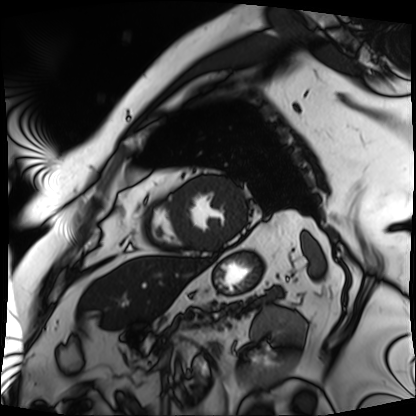
Cardiac MRI. Subject group: patient.